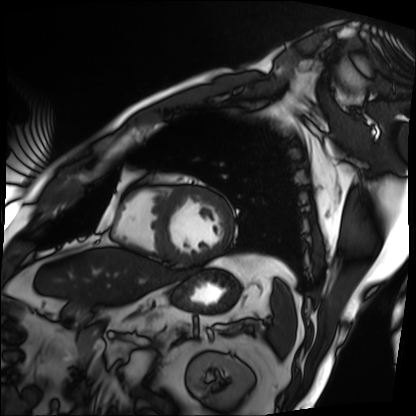
Summary:
Cardiac MRI. Subject group: patient.